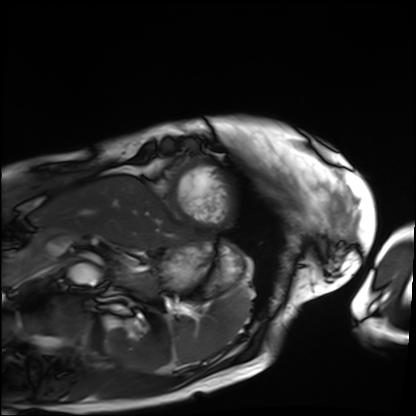
Cardiac MRI.
Subject group: patient.